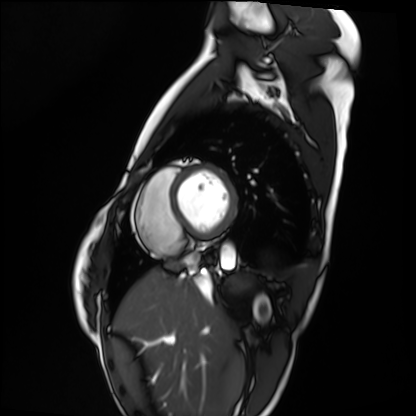
Clinical context:
Cardiac MRI. Subject group: healthy volunteer.